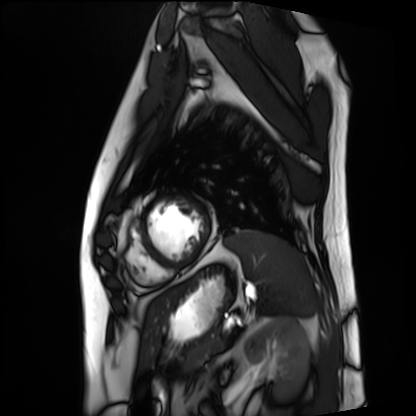
  modality: cardiac MRI
  cohort: patient